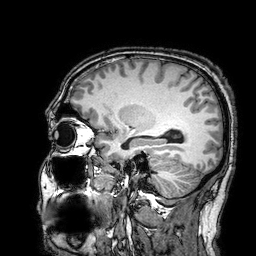
Q: What kind of scan is this?
A: 3 Tesla brain MRI.
Q: Series?
A: 3D T1-weighted turbo field echo with SENSE.
Study: ring-enhancing brain masses.